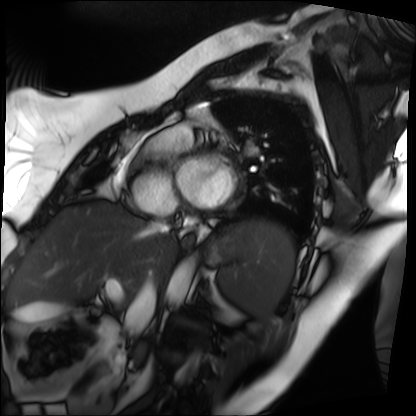
Clinical context:
Cardiac MRI. Subject group: patient.